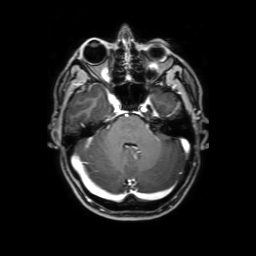
3 Tesla brain MRI. Series: 3D T1-weighted with SENSE. Study: ring-enhancing brain masses.